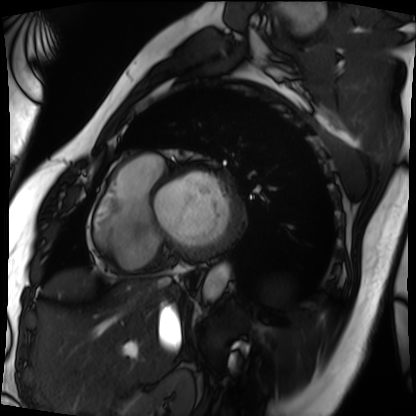
Cardiac MRI. Subject group: patient.